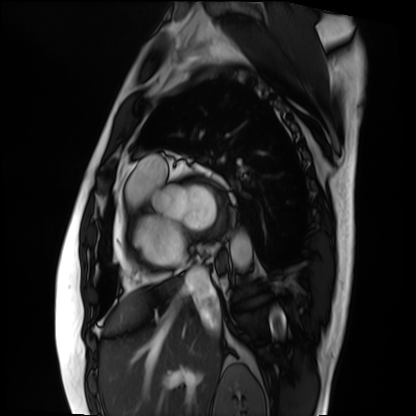
Cardiac MRI. Subject group: patient.